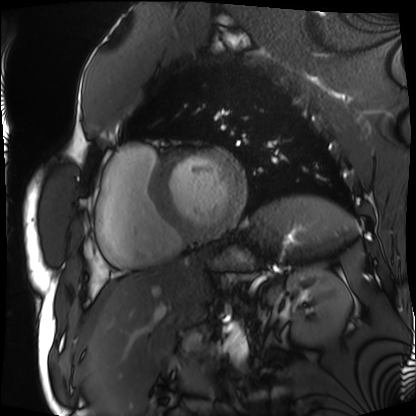
modality — cardiac MRI
subject group — patient